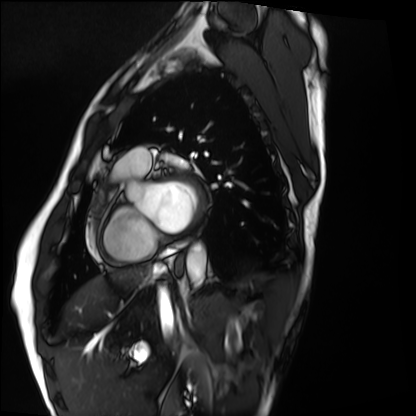
Summary:
Cardiac MRI. Subject group: healthy volunteer.